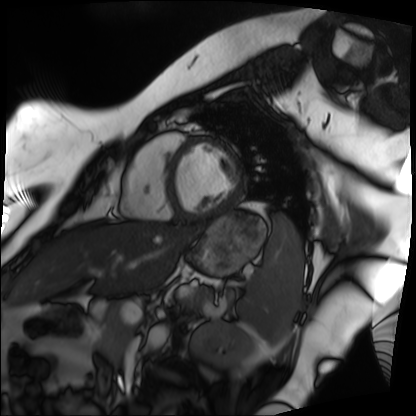
Q: What kind of scan is this?
A: Cardiac MRI.
Subject group: patient.